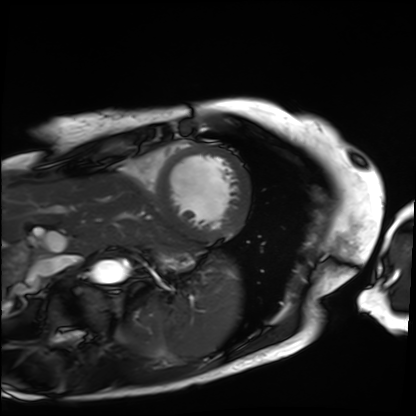
Cardiac MRI. Subject group: patient.